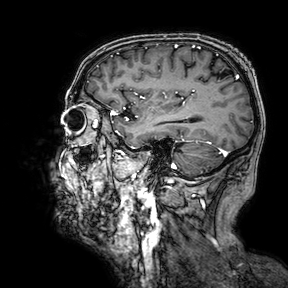
modality = 3 Tesla brain MRI
series = 3D T1-weighted turbo field echo with SENSE
study = ring-enhancing brain masses